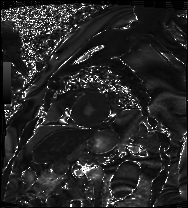
modality=cardiac MRI | subject group=patient.